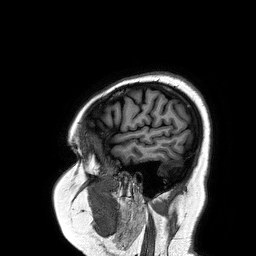
Q: What kind of scan is this?
A: 3 Tesla brain MRI.
Q: Series?
A: 3D T1-weighted turbo field echo.
Study: ring-enhancing brain masses.